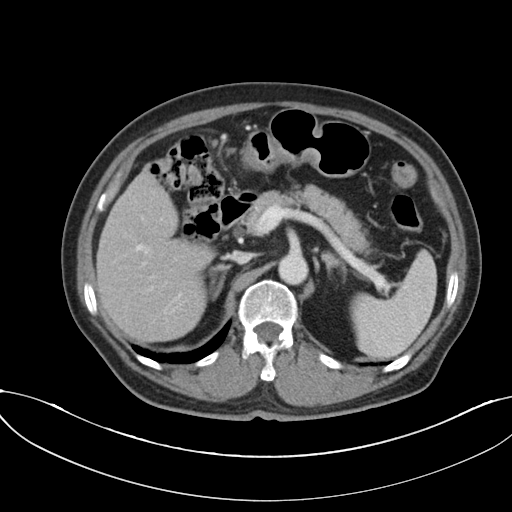
Case:
* modality: multiphase abdominal CT, liver, portal venous phase